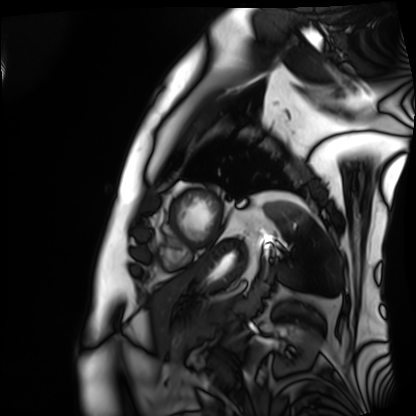
<study>
  <modality>cardiac MRI</modality>
  <cohort>patient</cohort>
</study>